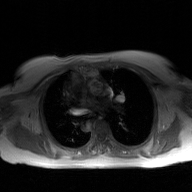
Case:
• modality — 2D phase-contrast cine MRI of the ascending aorta, GAN super-resolution reconstruction